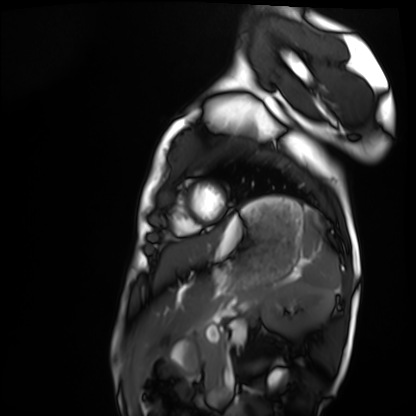
Cardiac MRI. Subject group: healthy volunteer.